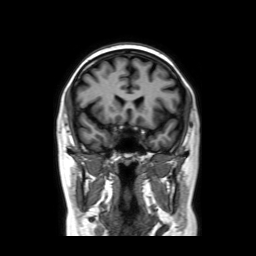
3 Tesla brain MRI. Series: coronal without contrast. Study: ring-enhancing brain masses.